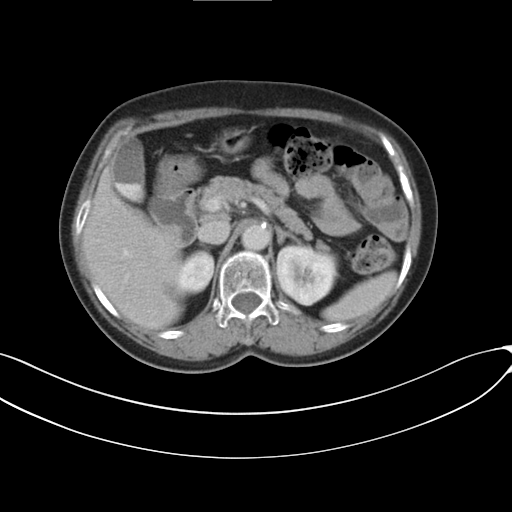
modality: multiphase abdominal CT, liver, delayed phase; patient: female, age 89; history: prior chemotherapy.